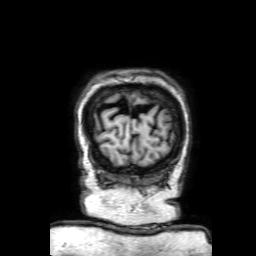
3 Tesla brain MRI.
Series: 3D T1-weighted with SENSE.
Study: ring-enhancing brain masses.